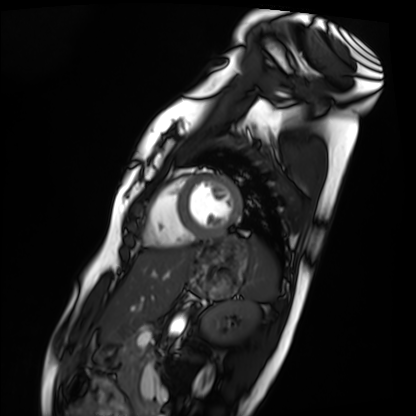
Summary: Cardiac MRI. Subject group: healthy volunteer.